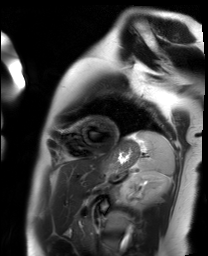
{
  "modality": "cardiac MR image of the myocardium",
  "cohort": "healthy volunteer"
}